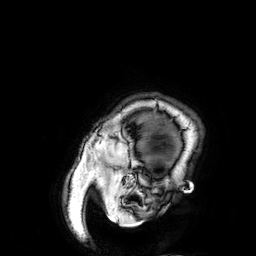
{
  "modality": {
    "type": "brain MRI",
    "field_strength": "3T"
  },
  "series": "3D T1-weighted",
  "study_topic": "ring-enhancing brain masses"
}